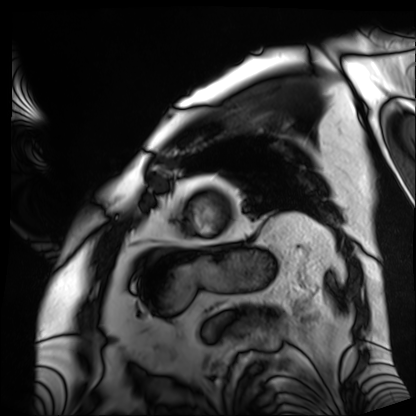
| field | value |
|---|---|
| modality | cardiac MRI |
| subject group | patient |